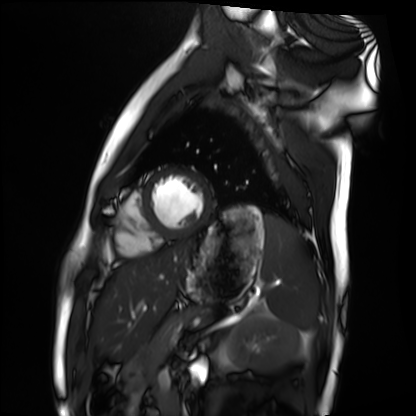
Case:
– modality: cardiac MRI
– subject group: healthy volunteer